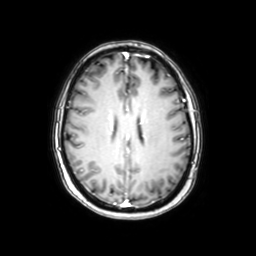
– modality: 3 Tesla brain MRI
– series: axial with contrast
– study: ring-enhancing brain masses